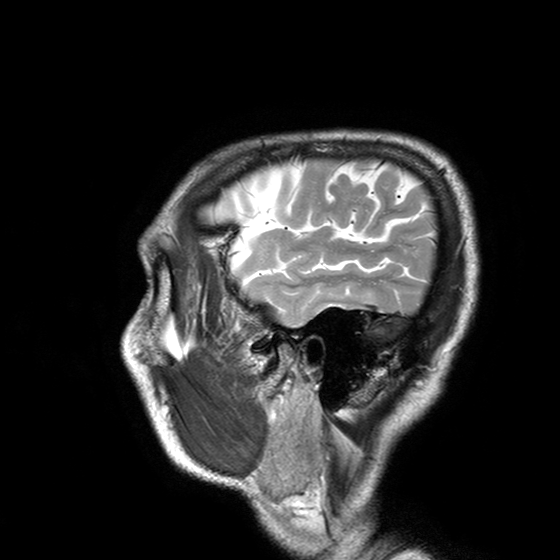
Case:
• modality — 3 Tesla brain MRI
• series — T2-weighted turbo spin echo with SENSE
• study — ring-enhancing brain masses